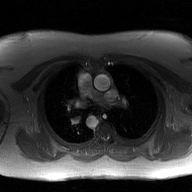
2D phase-contrast cine MRI of the ascending aorta, GAN super-resolution reconstruction.